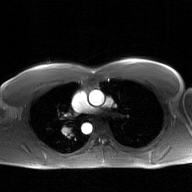
Summary: 2D phase-contrast cine MRI of the ascending aorta, GAN super-resolution reconstruction.